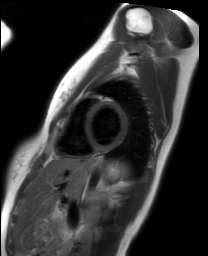
| field | value |
|---|---|
| modality | cardiac MRI |
| subject group | healthy volunteer |